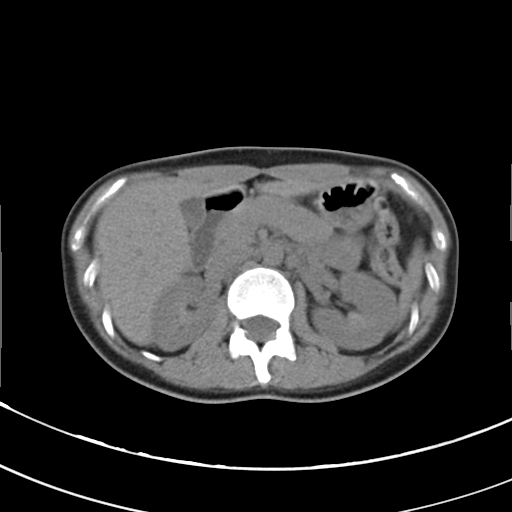
{"modality": {"type": "multiphase abdominal CT", "region": "liver", "phase": "non-contrast"}, "patient": {"sex": "male", "age": 63}}